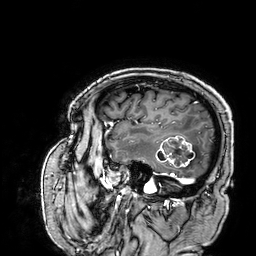
modality = 3 Tesla brain MRI | series = 3D T1-weighted | study = ring-enhancing brain masses.